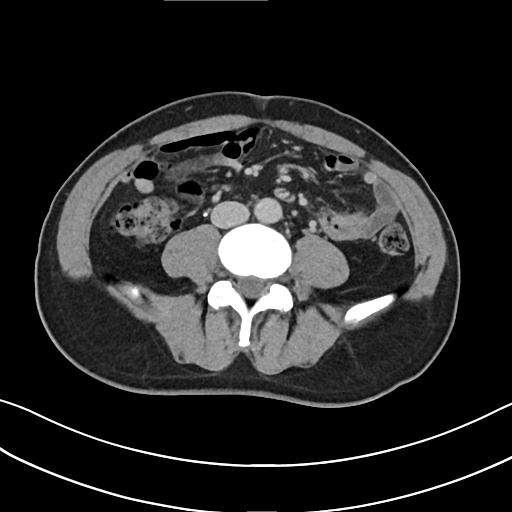
Q: What kind of scan is this?
A: Multiphase abdominal CT, liver, delayed phase.
Q: Patient?
A: Male, age 57.